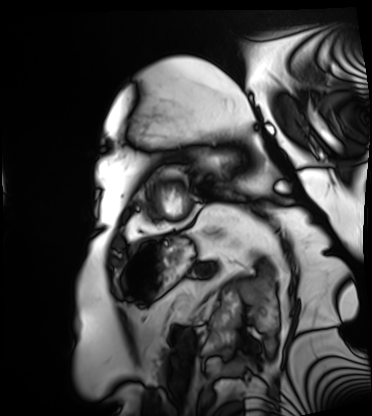
Summary: Cardiac MRI. Subject group: patient.